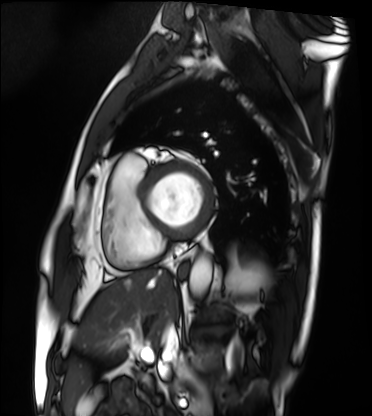
| field | value |
|---|---|
| modality | cardiac MRI |
| subject group | patient |